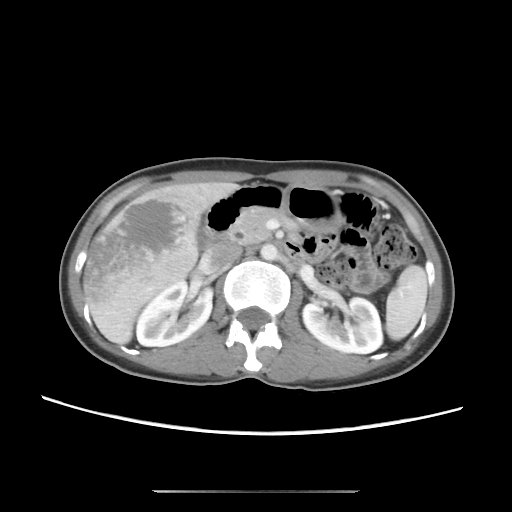
<scan>
  <modality>
    <type>multiphase abdominal CT</type>
    <region>liver</region>
    <phase>portal venous</phase>
  </modality>
  <patient>
    <sex>female</sex>
    <age>41</age>
  </patient>
</scan>